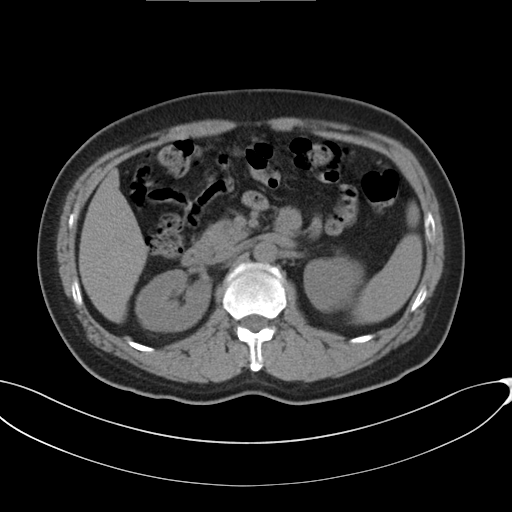
  modality:
    type: multiphase abdominal CT
    region: liver
    phase: non-contrast
  patient:
    sex: male
    age: 49
  history:
    - cirrhosis
    - viral hepatitis